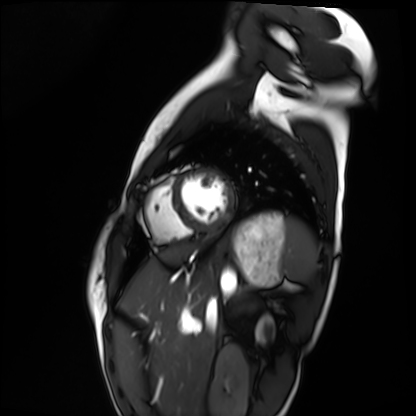
Cardiac MRI. Subject group: healthy volunteer.